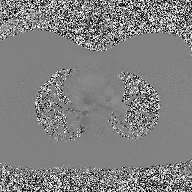
– modality: 2D phase-contrast cine MRI of the ascending aorta